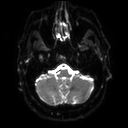
3 Tesla brain MRI.
Series: diffusion tensor imaging (medium iso).
Study: ring-enhancing brain masses.